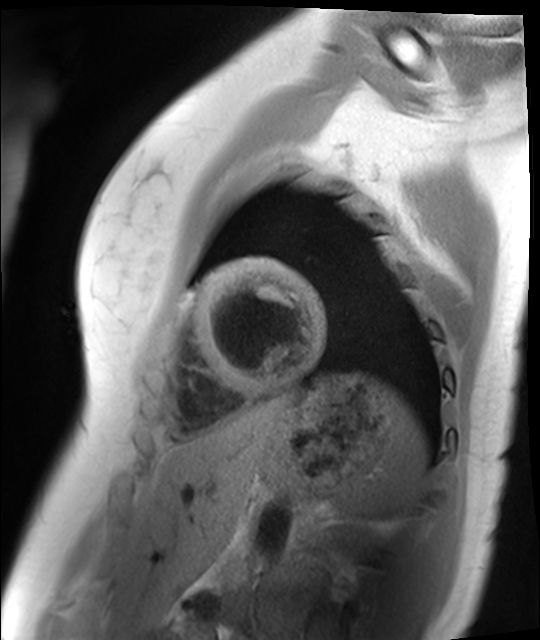
Cardiac MR image of the myocardium. Subject cohort: healthy volunteer.